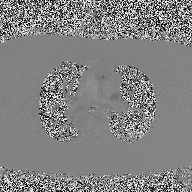
Q: What kind of scan is this?
A: 2D phase-contrast cine MRI of the ascending aorta.